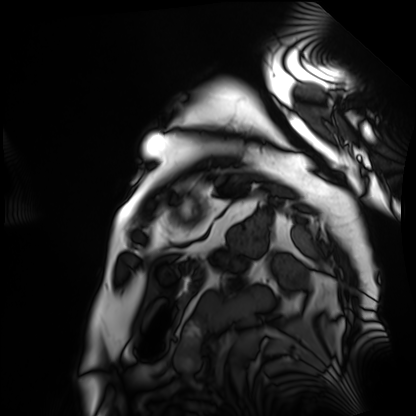
Cardiac MRI.
Subject group: patient.